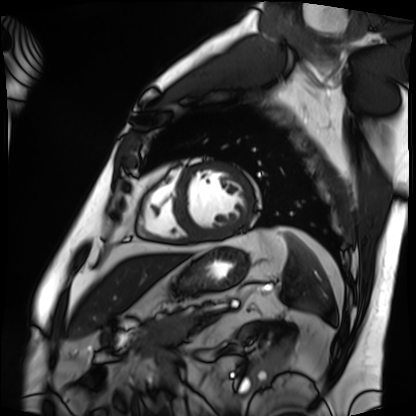
modality: cardiac MRI
cohort: patient